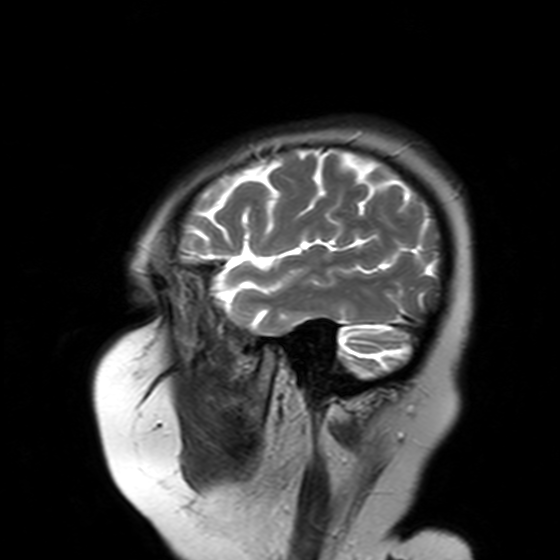
3 Tesla brain MRI. Series: T2-weighted turbo spin echo with SENSE. Study: ring-enhancing brain masses.